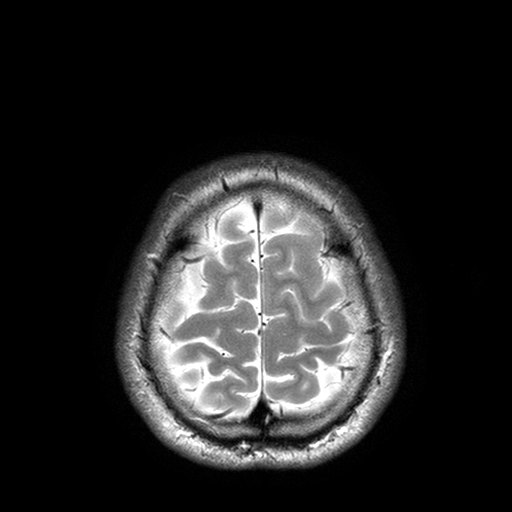
- modality: 3 Tesla brain MRI
- series: T2-weighted turbo spin echo with SENSE
- study: ring-enhancing brain masses